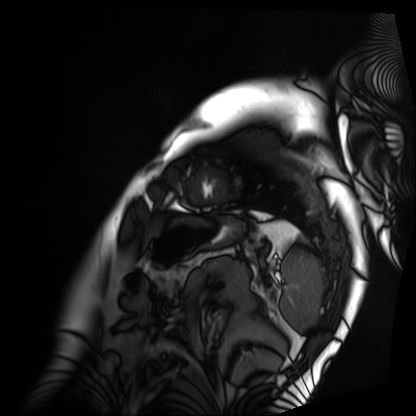
Summary:
Cardiac MRI. Subject group: patient.